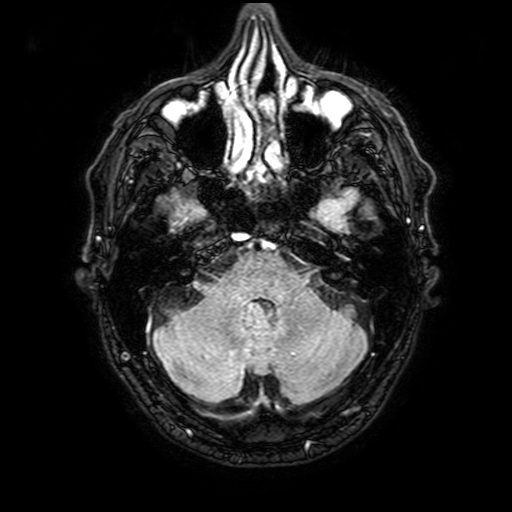
| field | value |
|---|---|
| modality | 3 Tesla brain MRI |
| series | FLAIR with SPAIR, 3 mm |
| study | ring-enhancing brain masses |